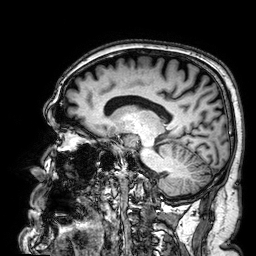
modality=3 Tesla brain MRI; series=3D T1-weighted; study=ring-enhancing brain masses.